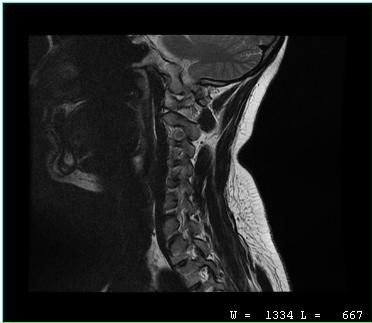
Summary: MRI of the cervical spine. Study: cervical spondylosis.